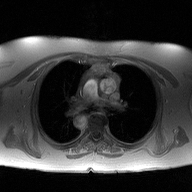
2D phase-contrast cine MRI of the ascending aorta, high-resolution GRAPPA acquisition.